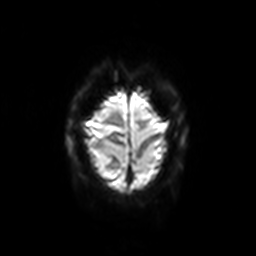
Summary: 3 Tesla brain MRI. Series: diffusion-weighted imaging with SENSE (WIP). Study: ring-enhancing brain masses.